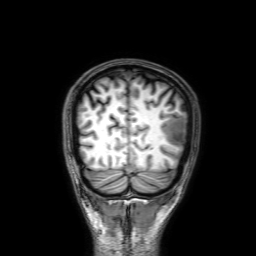
Case summary: 3 Tesla brain MRI. Series: 3D T1-weighted with SENSE. Study: ring-enhancing brain masses.